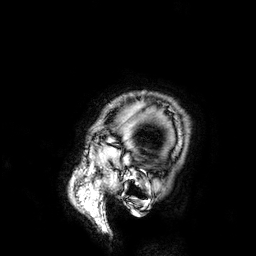
– modality: 3 Tesla brain MRI
– series: 3D T1-weighted
– study: ring-enhancing brain masses